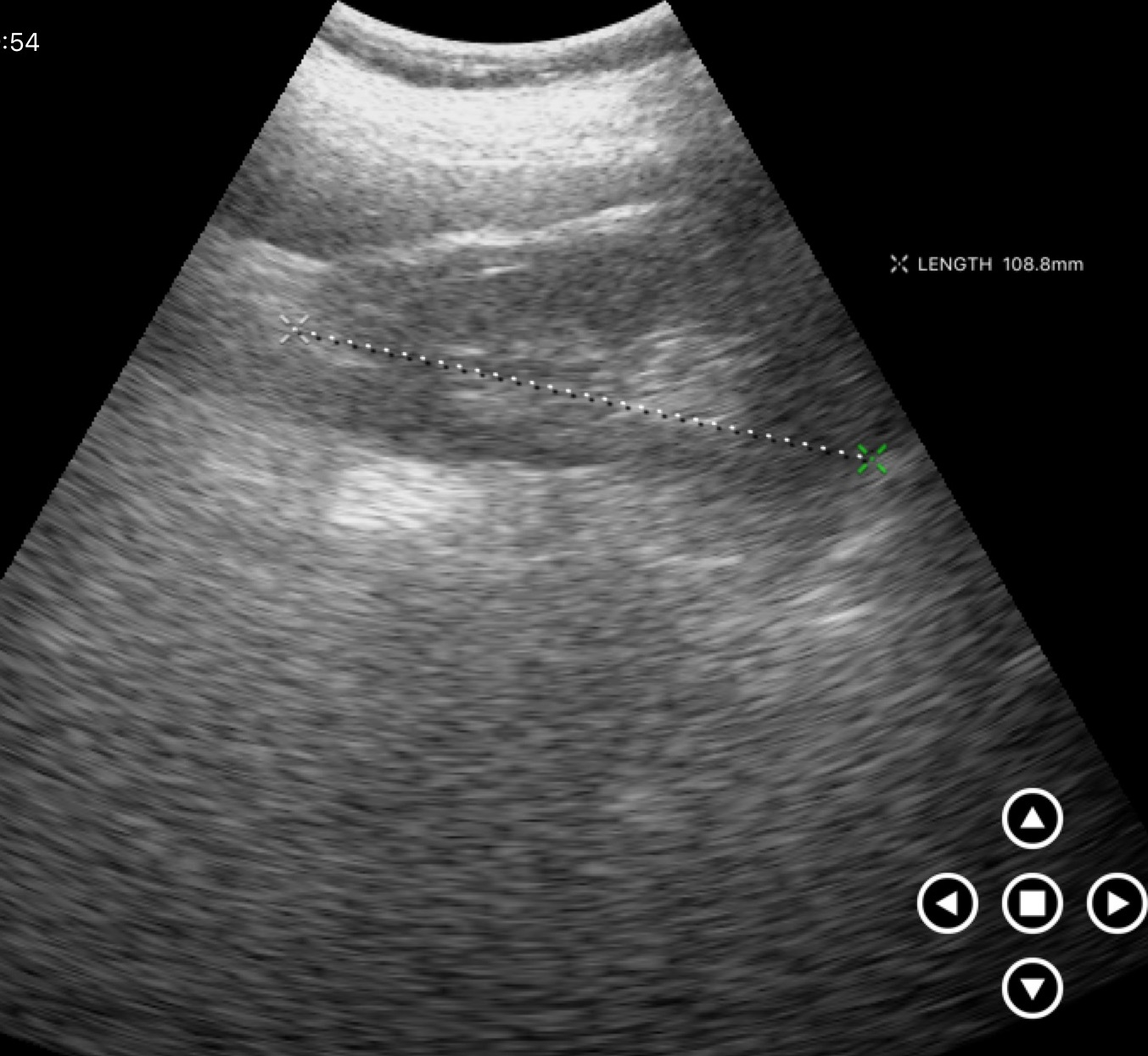
<case>
<modality>
  <type>genitourinary ultrasound</type>
</modality>
</case>